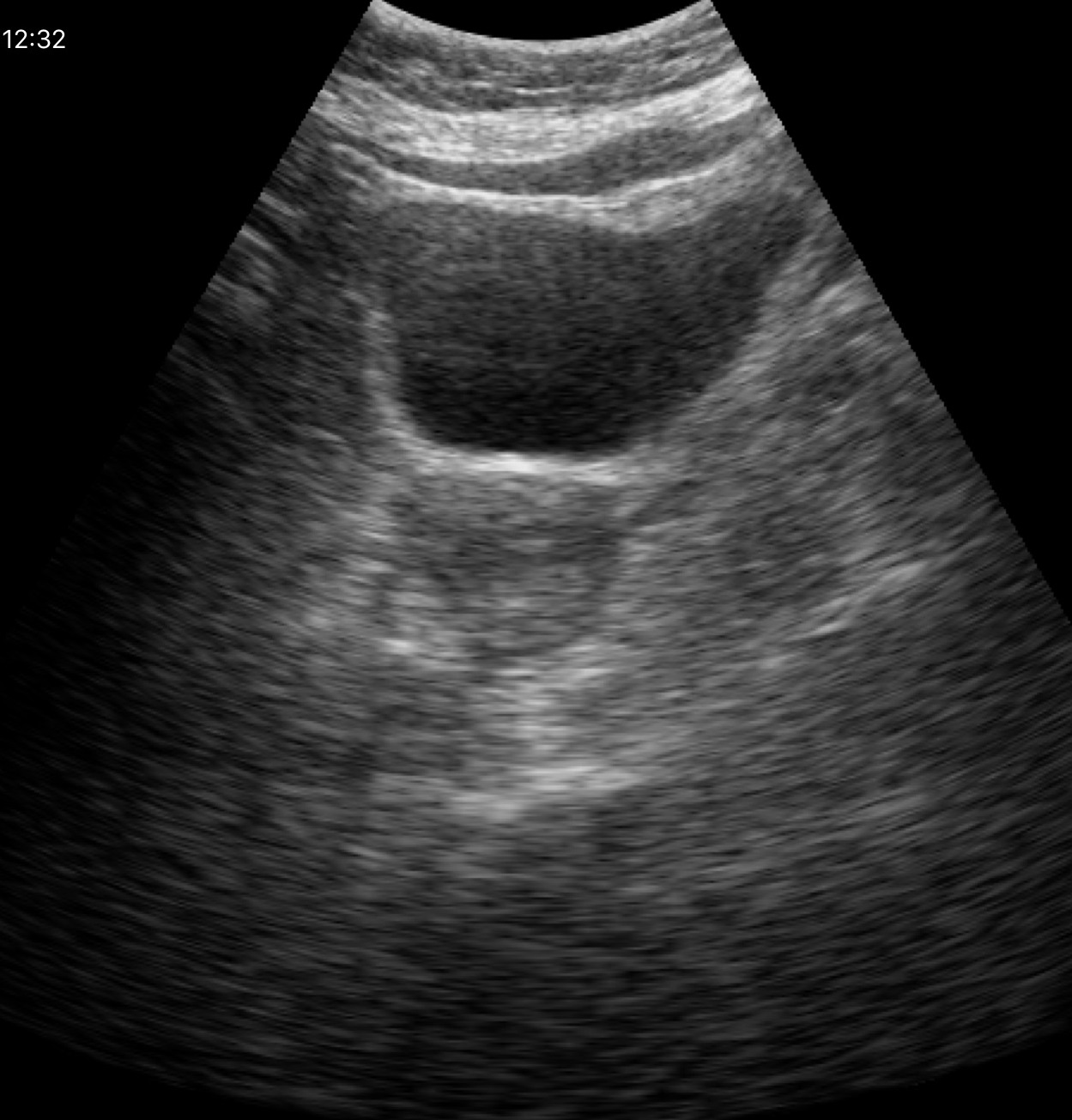
Summary: Genitourinary ultrasound.